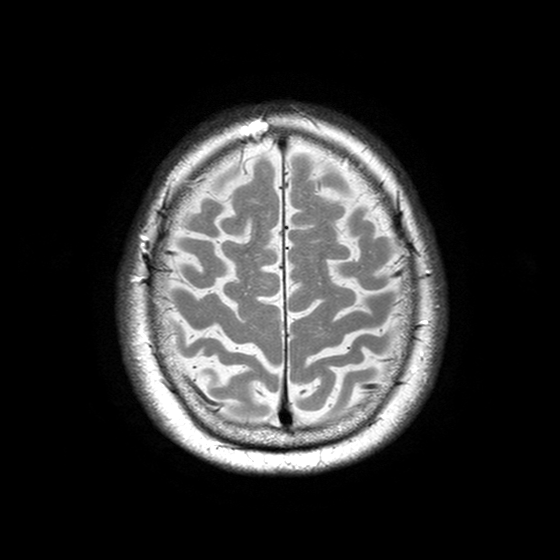
3 Tesla brain MRI.
Series: T2-weighted turbo spin echo with SENSE.
Study: ring-enhancing brain masses.